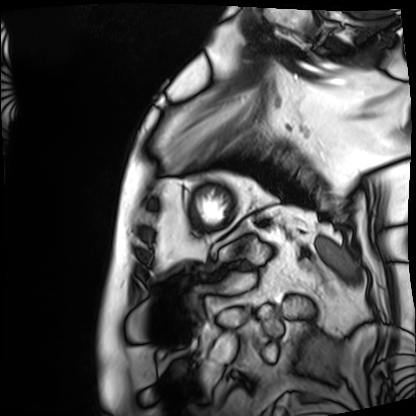
Cardiac MRI. Subject group: patient.